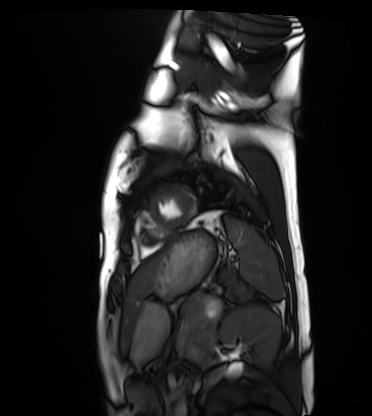
| field | value |
|---|---|
| modality | cardiac MRI |
| subject group | healthy volunteer |